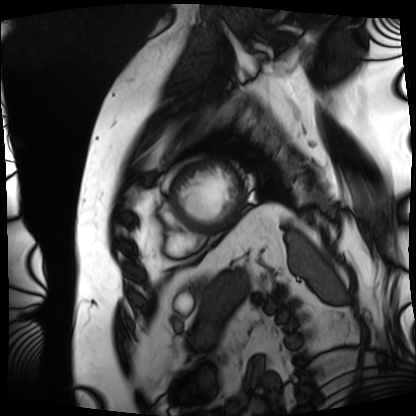
modality — cardiac MRI | subject group — patient.